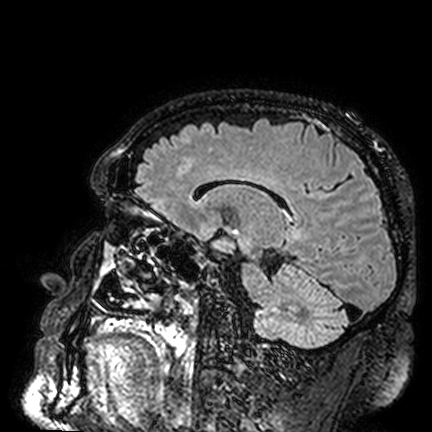
3 Tesla brain MRI. Series: FLAIR VISTA. Study: ring-enhancing brain masses.